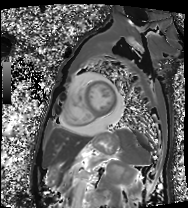
Case summary:
Cardiac MRI. Subject group: patient.